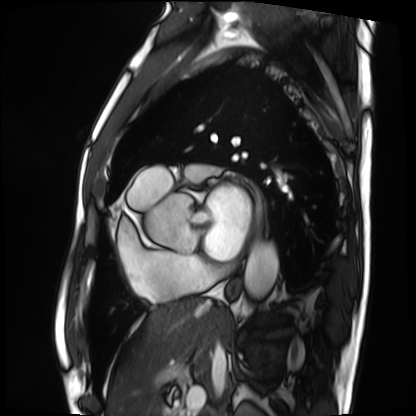
Cardiac MRI. Subject group: patient.